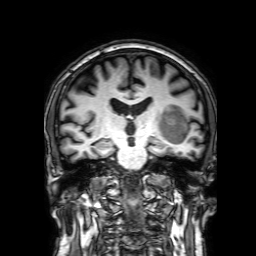
3 Tesla brain MRI.
Series: 3D T1-weighted with SENSE.
Study: ring-enhancing brain masses.